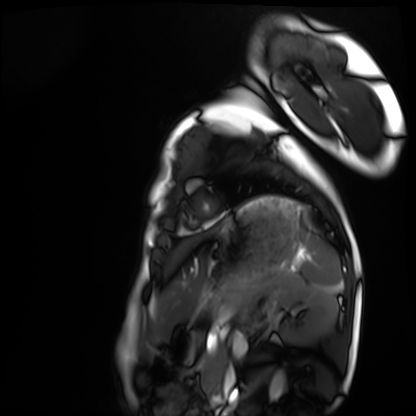
Cardiac MRI.
Subject group: healthy volunteer.